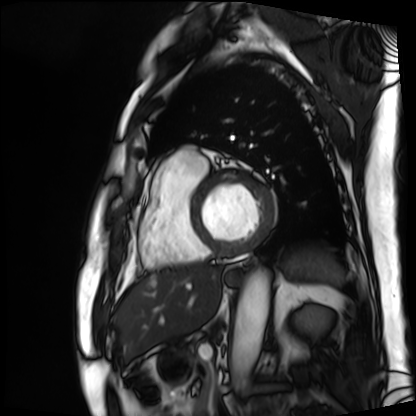
{
  "modality": "cardiac MRI",
  "cohort": "patient"
}